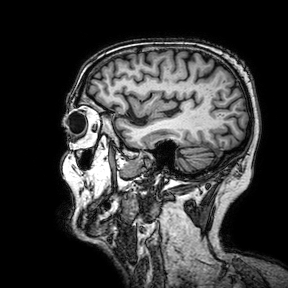
– modality: 3 Tesla brain MRI
– series: 3D T1-weighted turbo field echo with SENSE
– study: ring-enhancing brain masses